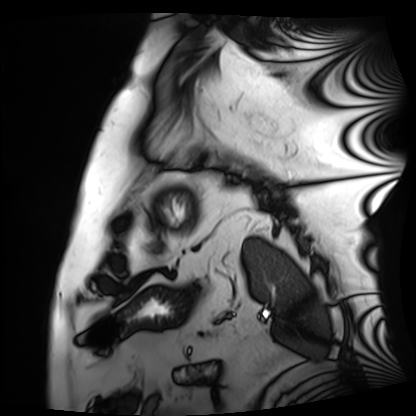
Summary:
Cardiac MRI. Subject group: patient.